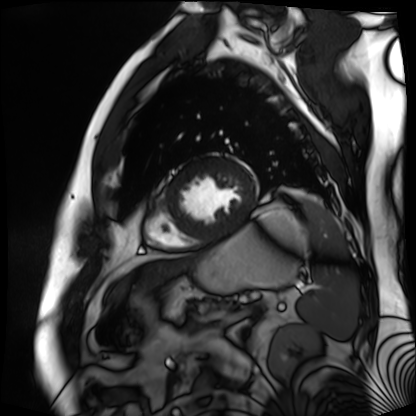
Cardiac MR image of the myocardium. Subject cohort: cardiac patient.